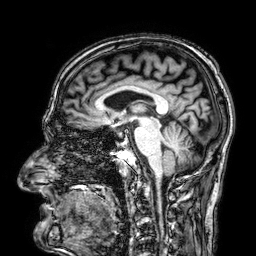
modality: 3 Tesla brain MRI | series: 3D T1-weighted | study: ring-enhancing brain masses.